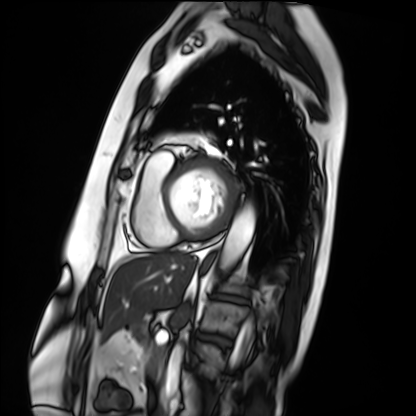
Q: What kind of scan is this?
A: Cardiac MRI.
Subject group: patient.